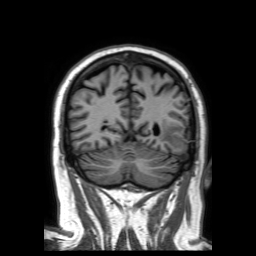
Case summary: 3 Tesla brain MRI. Series: 3D T1-weighted TFE with SENSE. Study: ring-enhancing brain masses.